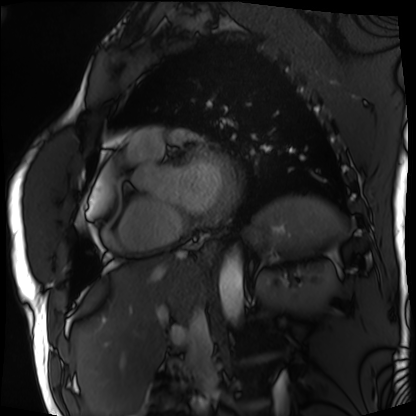
Cardiac MRI.
Subject group: patient.